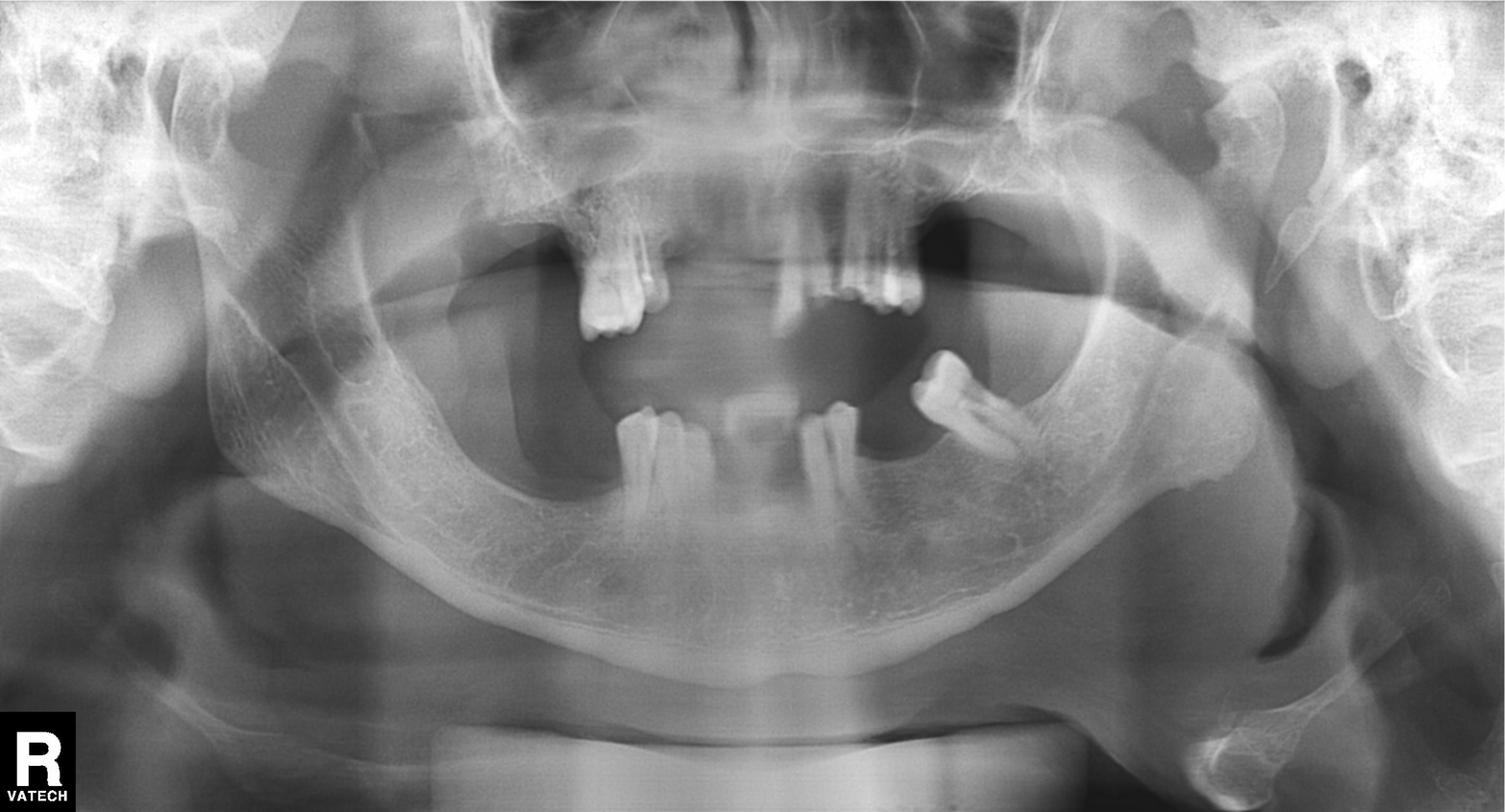
Summary: Panoramic dental radiograph (orthopantomogram).
Impression: Alveolar bone loss.